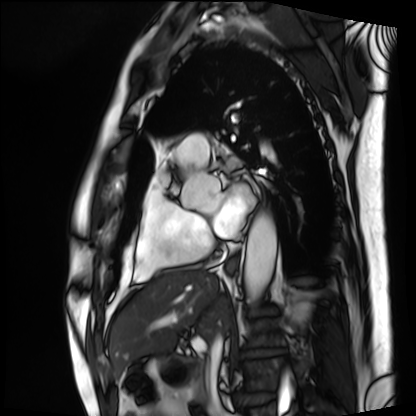
modality: cardiac MRI; subject group: patient.